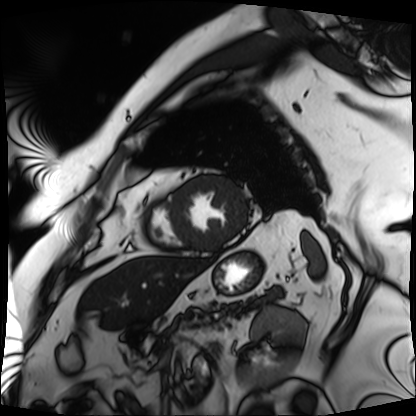
modality — cardiac MRI; subject group — patient.